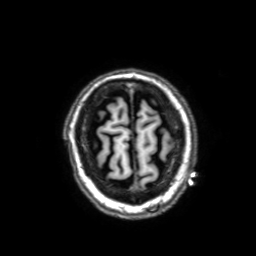
Summary: 3 Tesla brain MRI. Series: 3D T1-weighted with SENSE. Study: ring-enhancing brain masses.